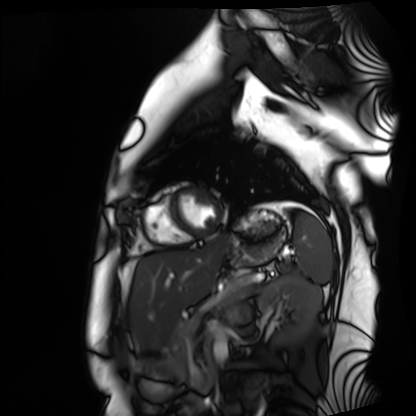
{
  "modality": "cardiac MRI",
  "cohort": "healthy volunteer"
}